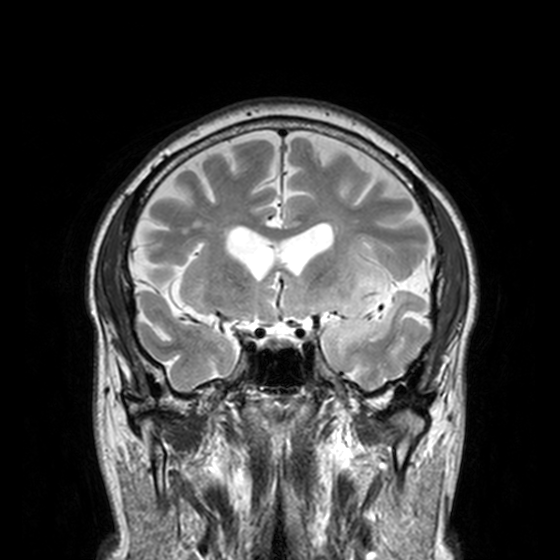
<record>
<modality>
  <type>brain MRI</type>
  <field_strength>3T</field_strength>
</modality>
<series>T2-weighted turbo spin echo, 3 mm</series>
<study_topic>ring-enhancing brain masses</study_topic>
</record>